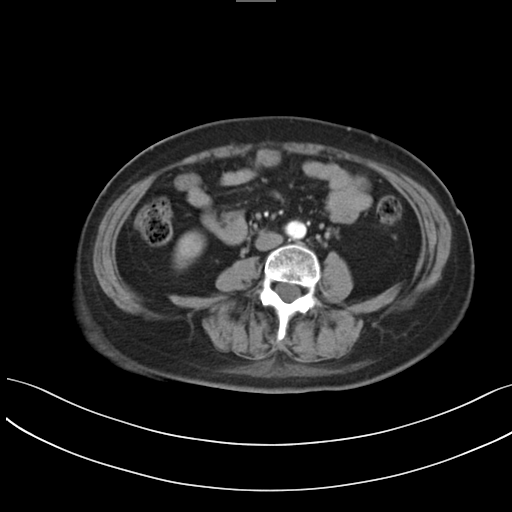
modality = multiphase abdominal CT, liver, arterial phase